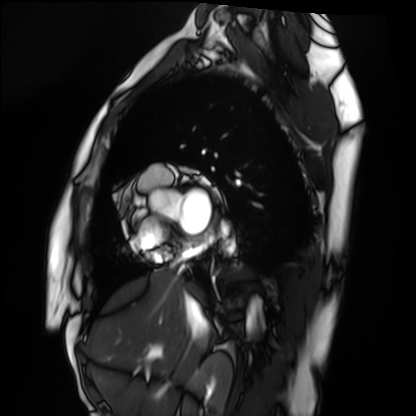
Case:
* modality — cardiac MRI
* subject group — healthy volunteer